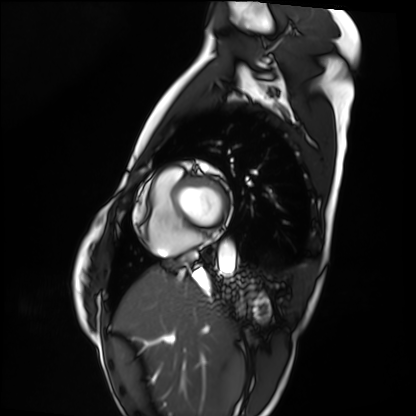
- modality — cardiac MRI
- subject group — healthy volunteer